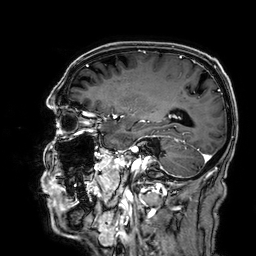
3 Tesla brain MRI. Series: 3D T1-weighted. Study: ring-enhancing brain masses.